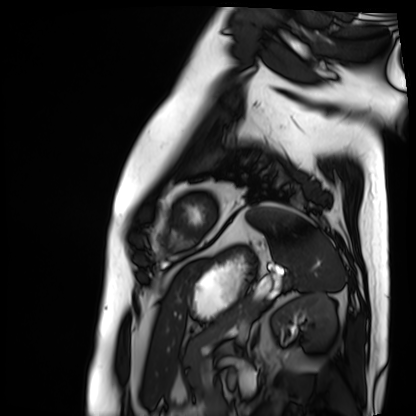
| field | value |
|---|---|
| modality | cardiac MRI |
| subject group | patient |